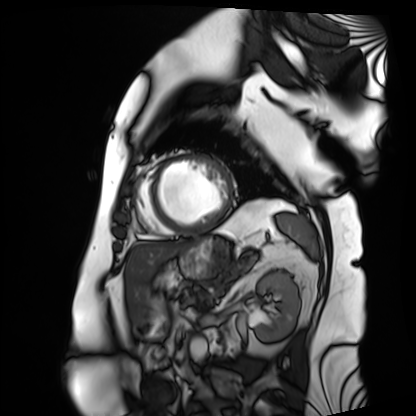
Q: What kind of scan is this?
A: Cardiac MRI.
Subject group: patient.